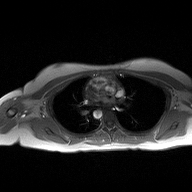
Case:
* modality · 2D phase-contrast cine MRI of the ascending aorta